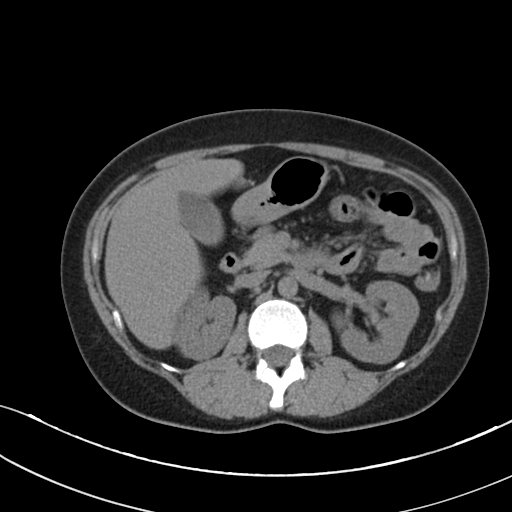
Multiphase abdominal CT, liver, non-contrast phase. Patient: female, age 36.